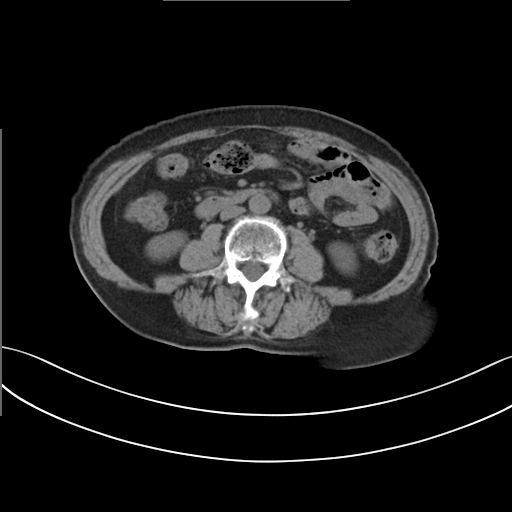
Case:
* modality: multiphase abdominal CT, liver, non-contrast phase
* patient: female, age 68
* history: prior chemotherapy